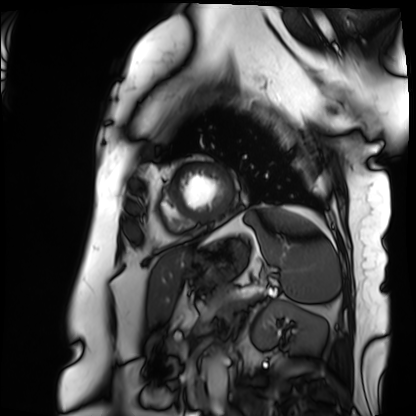
Q: What kind of scan is this?
A: Cardiac MRI.
Subject group: patient.